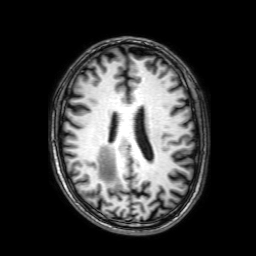
Summary: 3 Tesla brain MRI. Series: 3D T1-weighted with SENSE. Study: ring-enhancing brain masses.